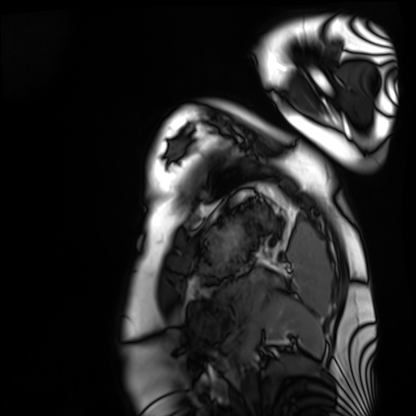
* modality · cardiac MRI
* subject group · healthy volunteer